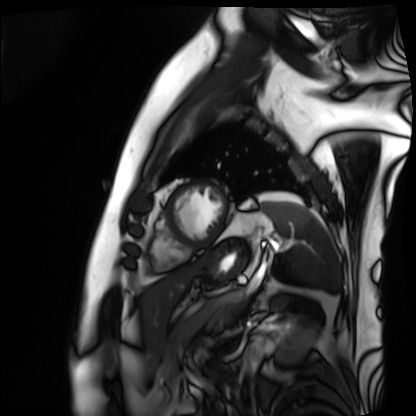
| field | value |
|---|---|
| modality | cardiac MRI |
| subject group | patient |